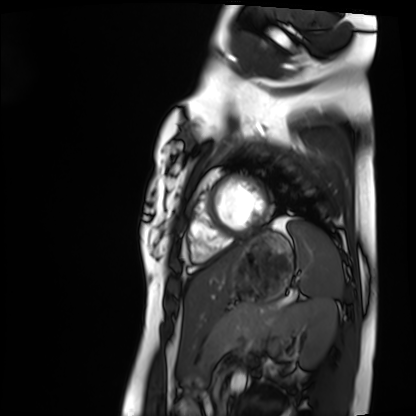
{
  "modality": "cardiac MRI",
  "cohort": "healthy volunteer"
}